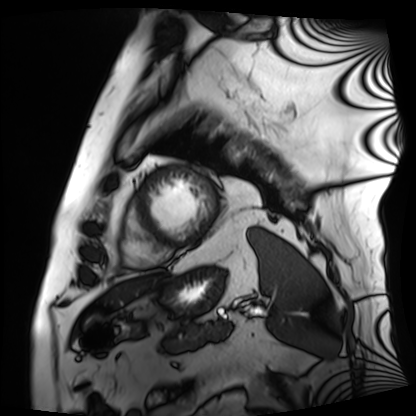
Cardiac MRI. Subject group: patient.